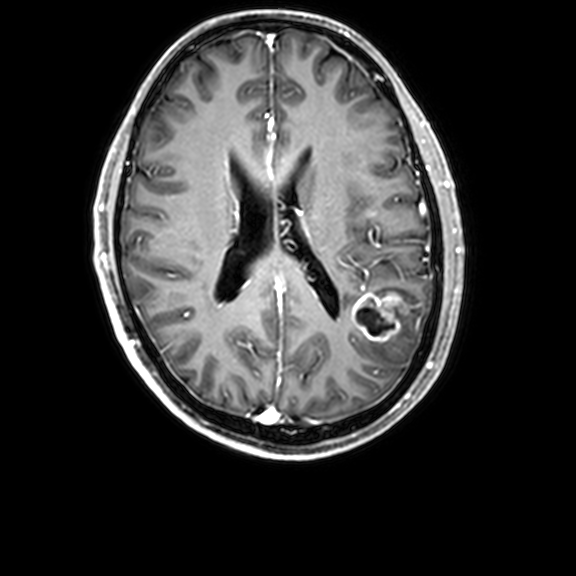
3 Tesla brain MRI. Series: 3D T1-weighted with CLEAR. Study: ring-enhancing brain masses.